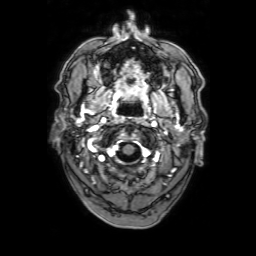
3 Tesla brain MRI.
Series: 3D T1-weighted with SENSE.
Study: ring-enhancing brain masses.